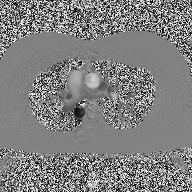
modality: 2D phase-contrast cine MRI of the ascending aorta.